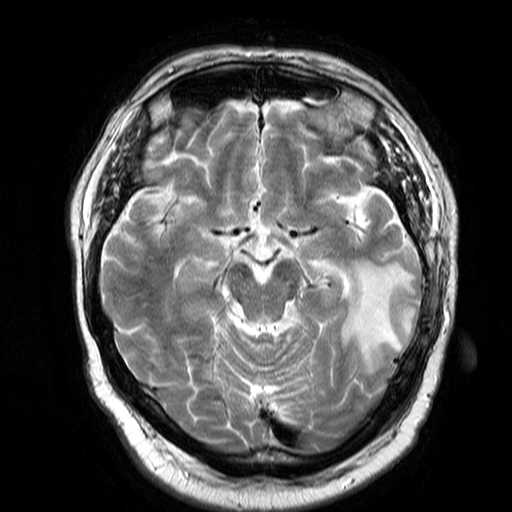
| field | value |
|---|---|
| modality | 3 Tesla brain MRI |
| series | T2-weighted turbo spin echo |
| study | ring-enhancing brain masses |